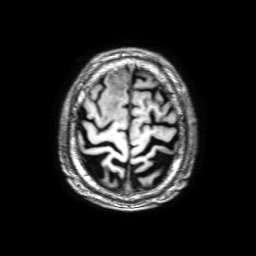
• modality — 3 Tesla brain MRI
• series — 3D T1-weighted with SENSE
• study — ring-enhancing brain masses